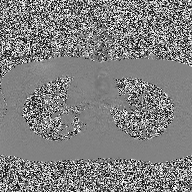
2D phase-contrast cine MRI of the ascending aorta, high-resolution GRAPPA acquisition.